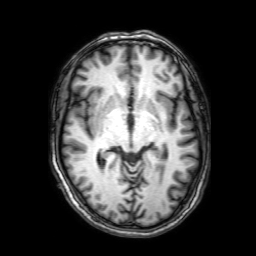
Q: What kind of scan is this?
A: 3 Tesla brain MRI.
Q: Series?
A: 3D T1-weighted with SENSE.
Study: ring-enhancing brain masses.